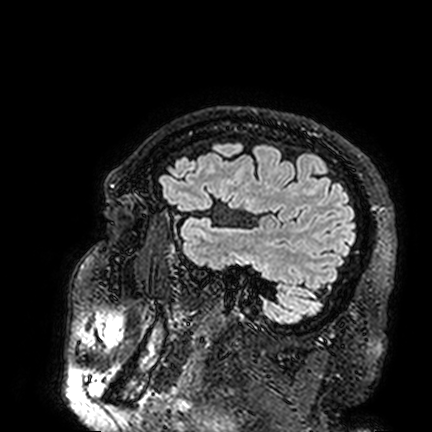
3 Tesla brain MRI.
Series: FLAIR VISTA.
Study: ring-enhancing brain masses.